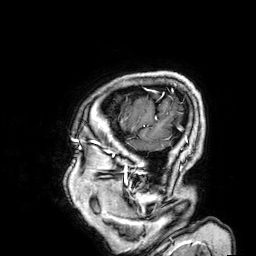
3 Tesla brain MRI. Series: 3D T1-weighted. Study: ring-enhancing brain masses.